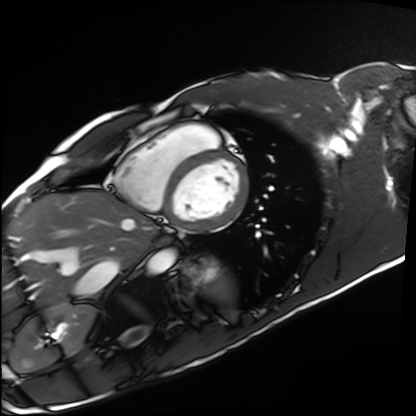
Summary:
Cardiac MRI. Subject group: healthy volunteer.